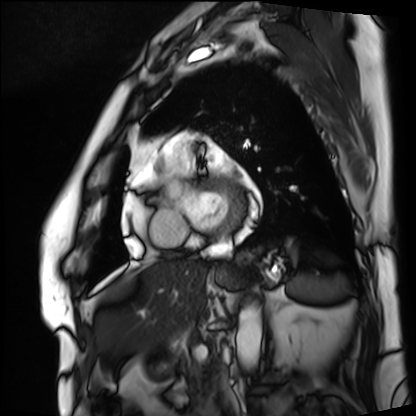
Cardiac MRI. Subject group: patient.